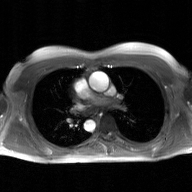
modality = 2D phase-contrast cine MRI of the ascending aorta, GAN super-resolution reconstruction